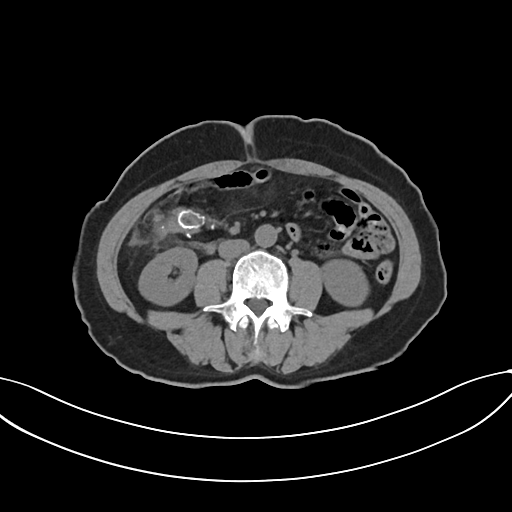
Multiphase abdominal CT, liver, non-contrast phase. Patient: female, age 59.